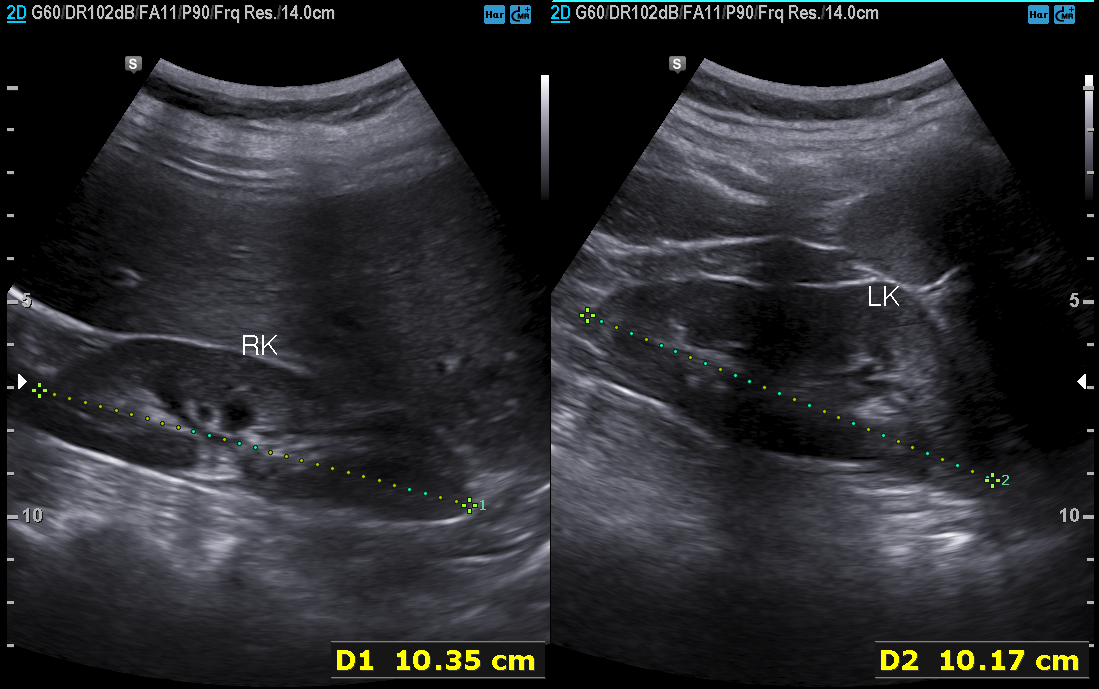
modality: genitourinary ultrasound